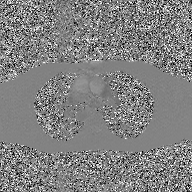
2D phase-contrast cine MRI of the ascending aorta, GAN super-resolution reconstruction.